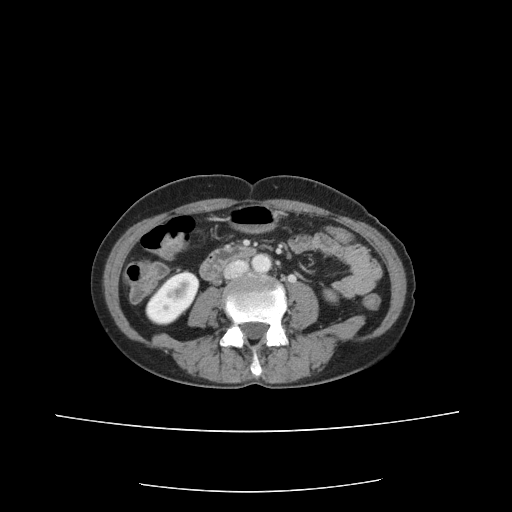
  modality:
    type: multiphase abdominal CT
    region: liver
    phase: portal venous